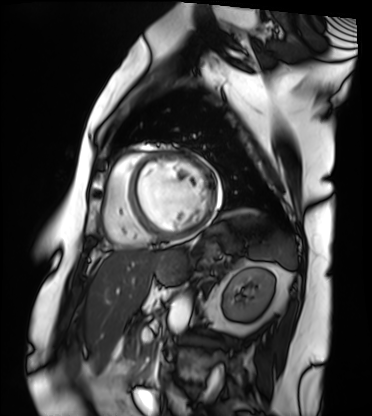
{
  "modality": "cardiac MRI",
  "cohort": "patient"
}